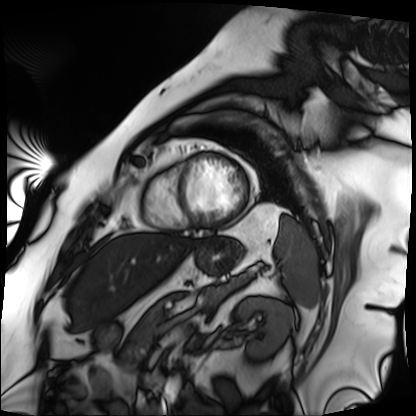
Cardiac MRI. Subject group: patient.